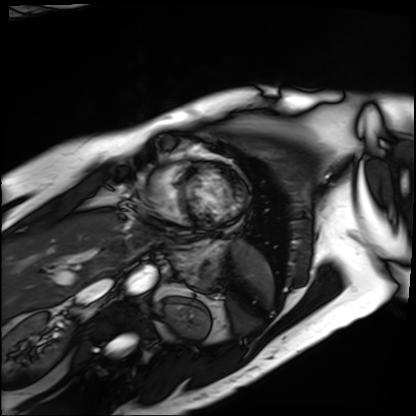
Cardiac MRI.
Subject group: patient.